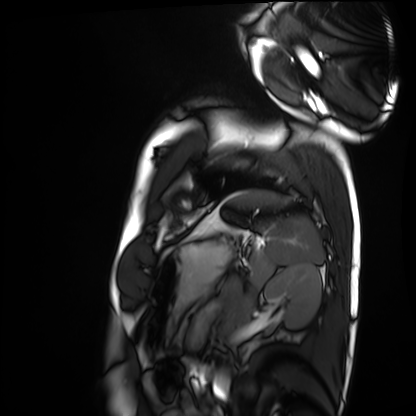
Case summary: Cardiac MRI. Subject group: healthy volunteer.